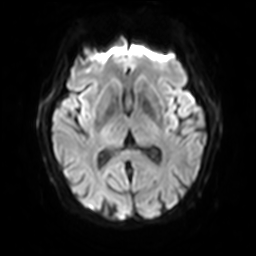
- modality · 3 Tesla brain MRI
- series · diffusion-weighted imaging with SENSE (WIP)
- study · ring-enhancing brain masses